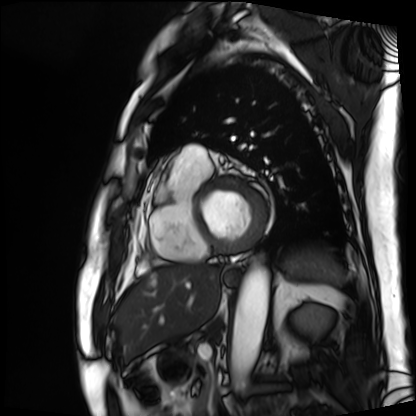
- modality: cardiac MRI
- subject group: patient